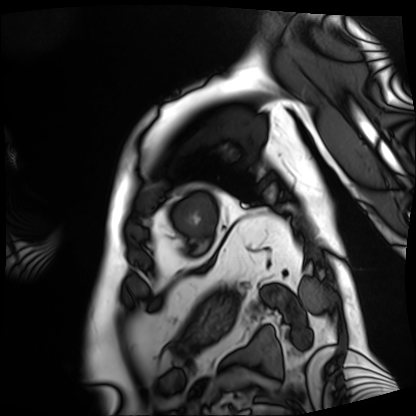
Cardiac MRI.
Subject group: patient.